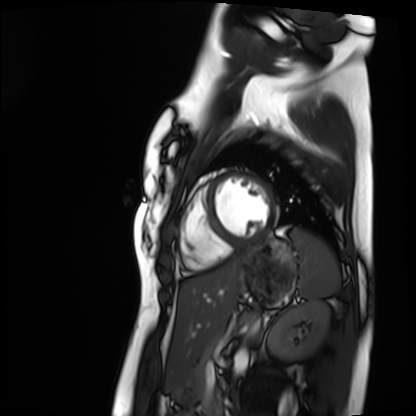
Clinical context:
Cardiac MRI. Subject group: healthy volunteer.